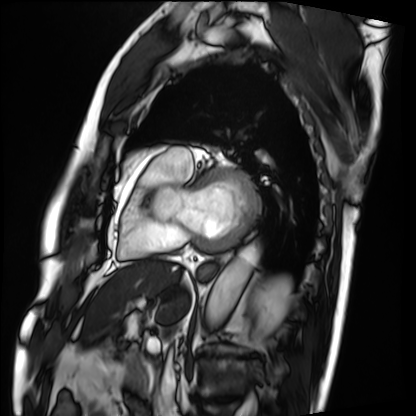
• modality: cardiac MRI
• subject group: patient